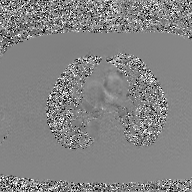
Clinical context: 2D phase-contrast cine MRI of the ascending aorta, GAN super-resolution reconstruction.